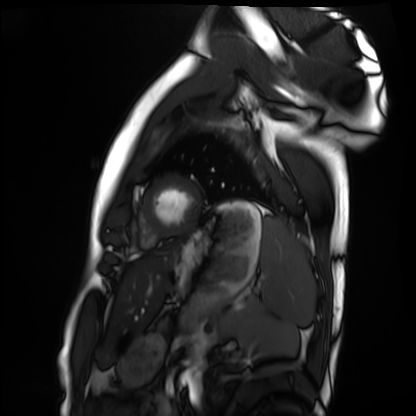
• modality — cardiac MRI
• subject group — healthy volunteer